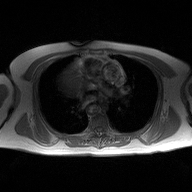
modality — 2D phase-contrast cine MRI of the ascending aorta